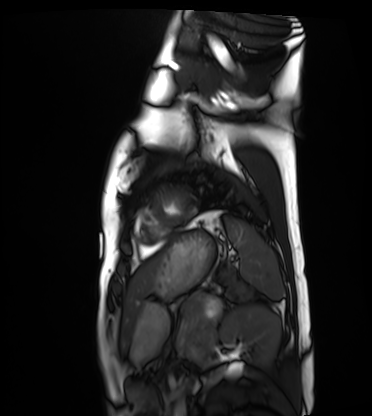
Cardiac MRI.
Subject group: healthy volunteer.